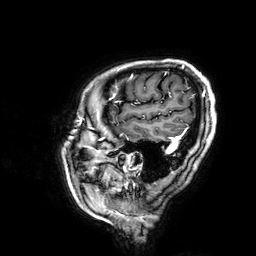
<case>
  <modality>
    <type>brain MRI</type>
    <field_strength>3T</field_strength>
  </modality>
  <series>3D T1-weighted</series>
  <study_topic>ring-enhancing brain masses</study_topic>
</case>